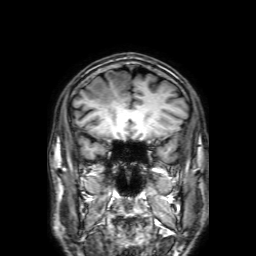
Case summary: 3 Tesla brain MRI. Series: 3D T1-weighted with SENSE. Study: ring-enhancing brain masses.